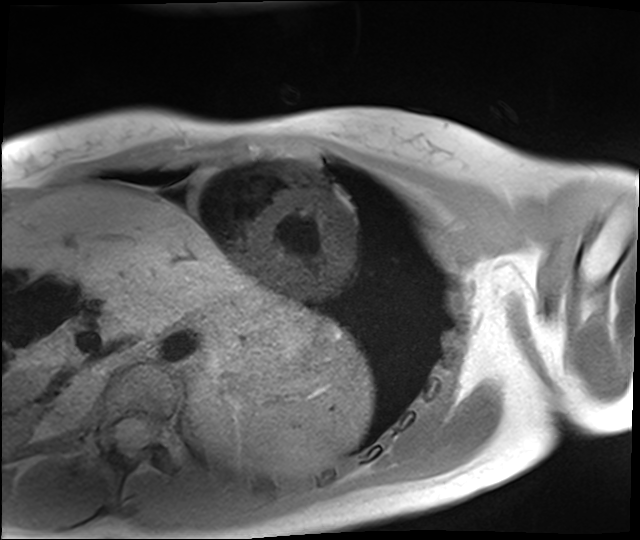
<case>
<modality>cardiac MRI</modality>
<cohort>healthy volunteer</cohort>
</case>